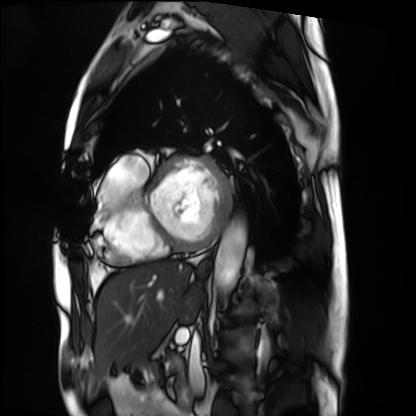
{
  "modality": "cardiac MRI",
  "cohort": "patient"
}